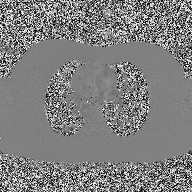
2D phase-contrast cine MRI of the ascending aorta, high-resolution GRAPPA acquisition.